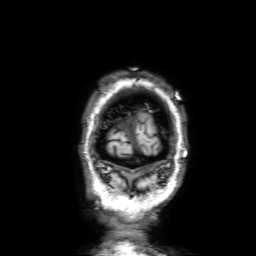
modality:
  type: brain MRI
  field_strength: 3T
series: 3D T1-weighted with SENSE
study_topic: ring-enhancing brain masses